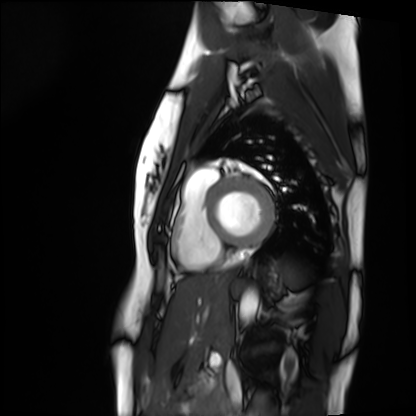
<case>
  <modality>cardiac MRI</modality>
  <cohort>healthy volunteer</cohort>
</case>